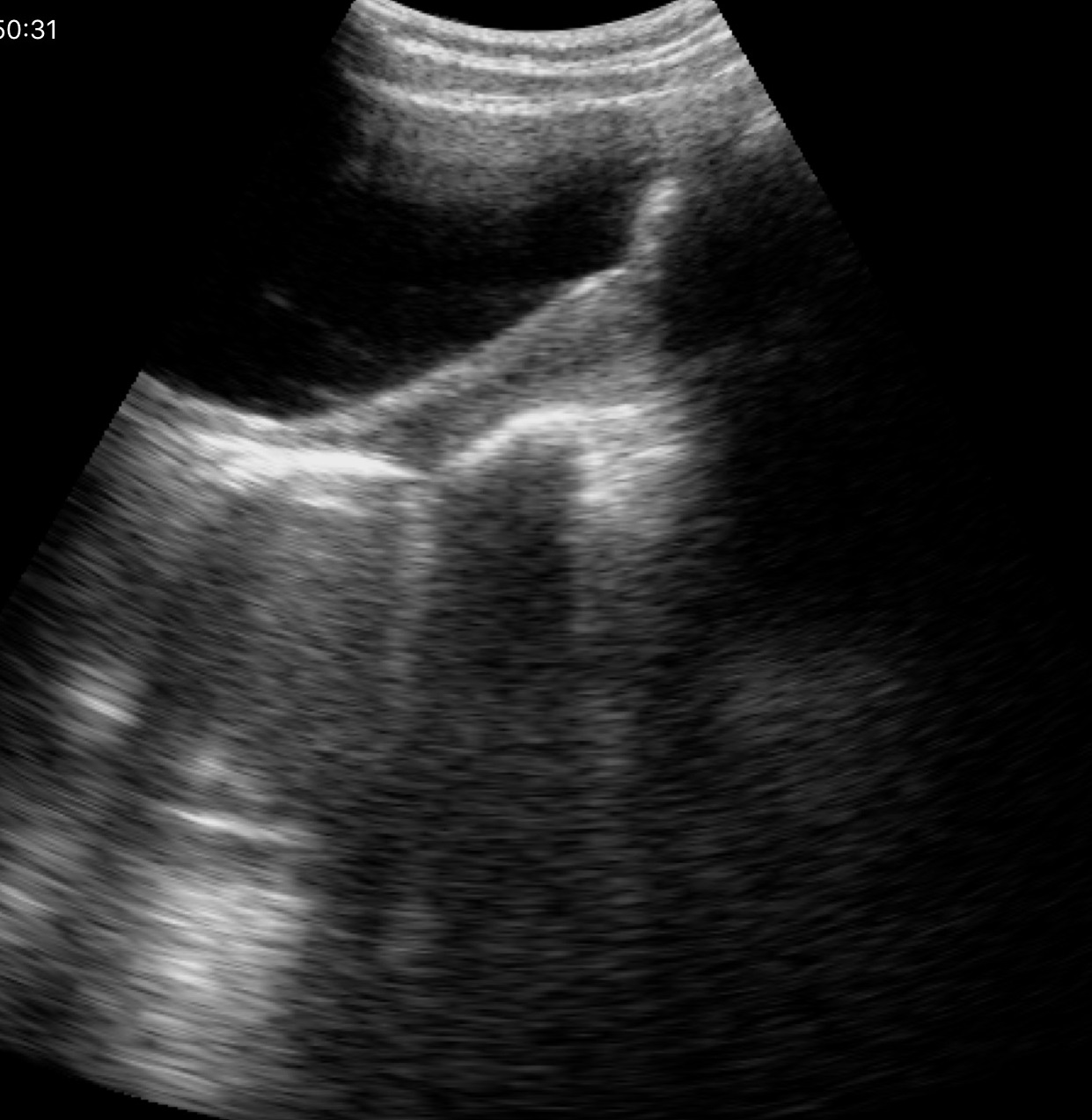
Genitourinary ultrasound.